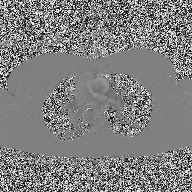
modality — 2D phase-contrast cine MRI of the ascending aorta.